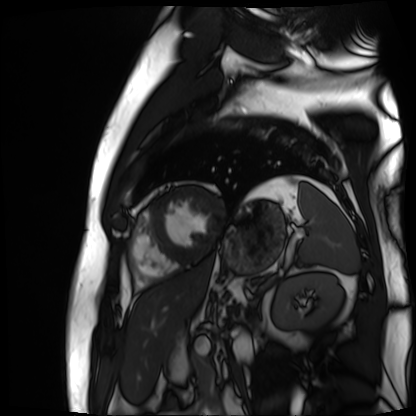
Cardiac MR image of the myocardium. Subject cohort: cardiac patient.